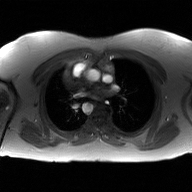
<scan>
  <modality>
    <type>2D phase-contrast cine MRI</type>
    <region>ascending aorta</region>
    <reconstruction>GAN super-resolution reconstruction</reconstruction>
  </modality>
</scan>